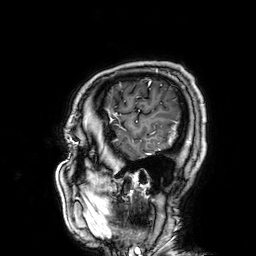
• modality · 3 Tesla brain MRI
• series · 3D T1-weighted
• study · ring-enhancing brain masses